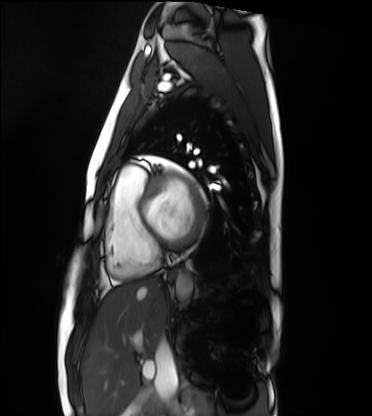
Q: What kind of scan is this?
A: Cardiac MRI.
Subject group: healthy volunteer.